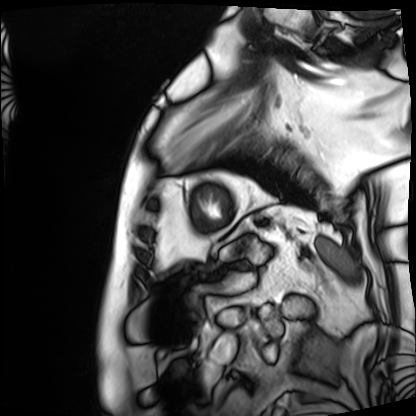
- modality · cardiac MRI
- subject group · patient